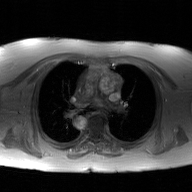
modality=2D phase-contrast cine MRI of the ascending aorta, GAN super-resolution reconstruction.